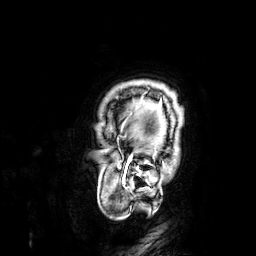
Summary:
3 Tesla brain MRI. Series: 3D T1-weighted. Study: ring-enhancing brain masses.